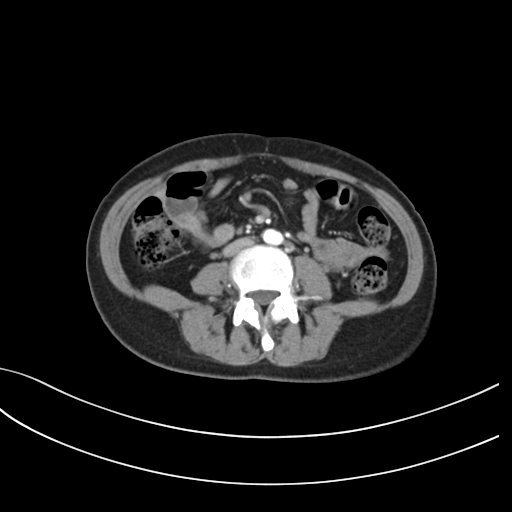
Q: What kind of scan is this?
A: Multiphase abdominal CT, liver, arterial phase.
Q: Patient?
A: Female, age 34.